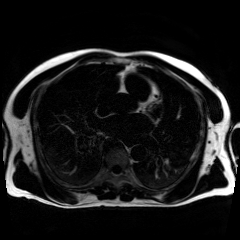
Summary:
Chemical-shift-encoded cardiac MRI.